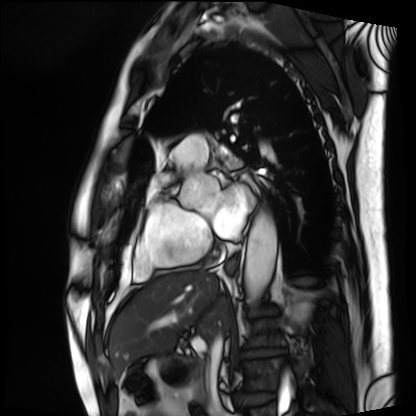
Q: What kind of scan is this?
A: Cardiac MRI.
Subject group: patient.